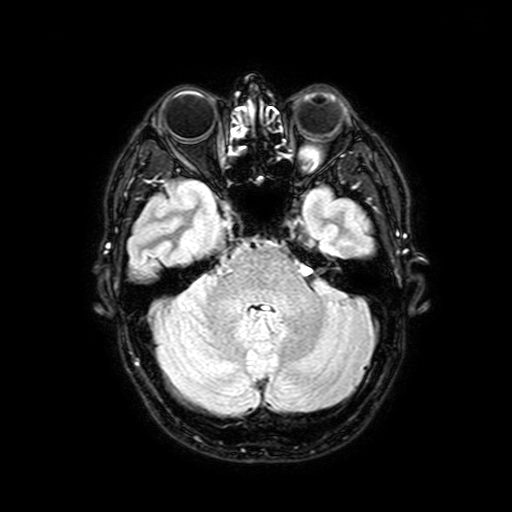
– modality — 3 Tesla brain MRI
– series — FLAIR with SPAIR, 3 mm
– study — ring-enhancing brain masses